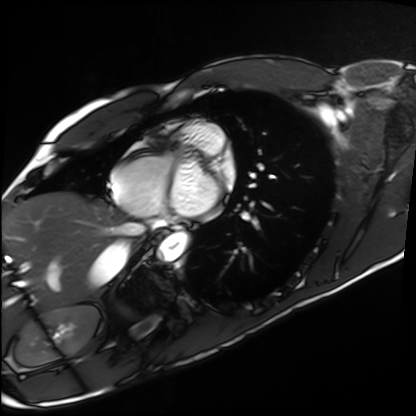
modality = cardiac MRI, subject group = healthy volunteer.